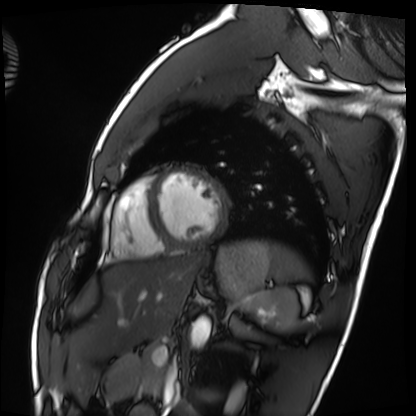
Q: What kind of scan is this?
A: Cardiac MRI.
Subject group: healthy volunteer.